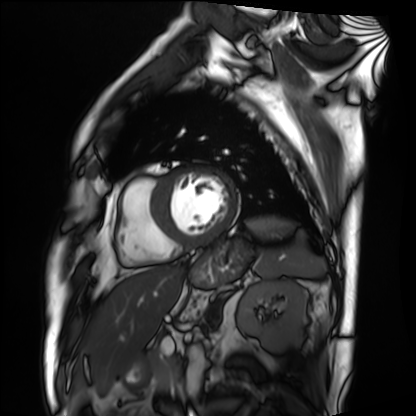
{
  "modality": "cardiac MRI",
  "cohort": "patient"
}